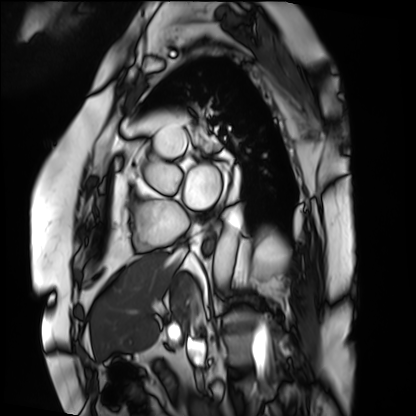
modality = cardiac MRI; subject group = patient.